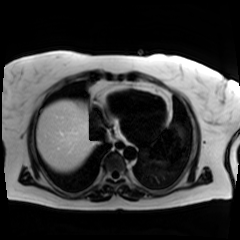
Clinical context:
Chemical-shift-encoded cardiac MRI.